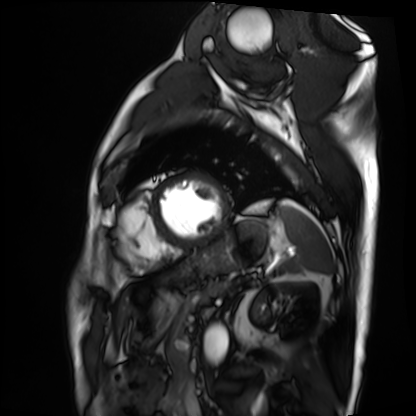
Cardiac MRI.
Subject group: patient.